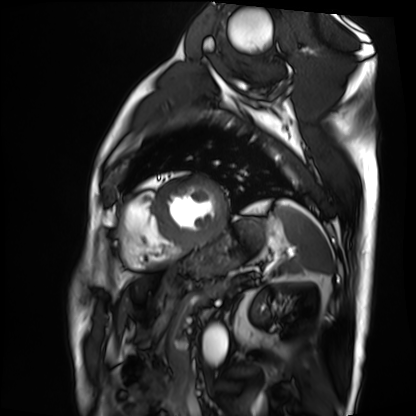
Cardiac MRI.
Subject group: patient.